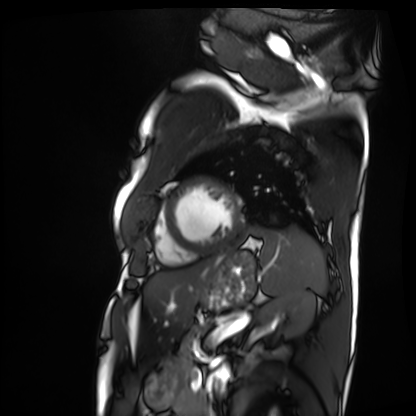
Cardiac MRI. Subject group: patient.